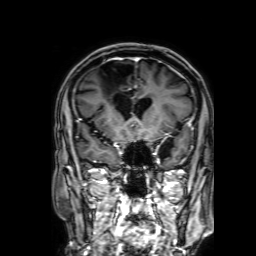
3 Tesla brain MRI. Series: 3D T1-weighted with SENSE. Study: ring-enhancing brain masses.